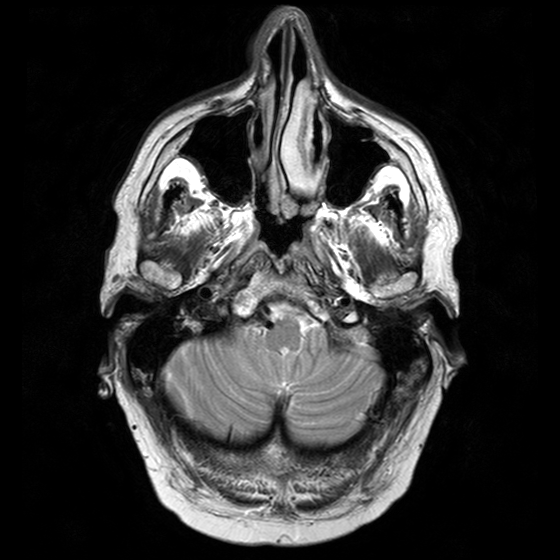
Clinical context:
3 Tesla brain MRI. Series: T2-weighted turbo spin echo with CLEAR. Study: ring-enhancing brain masses.